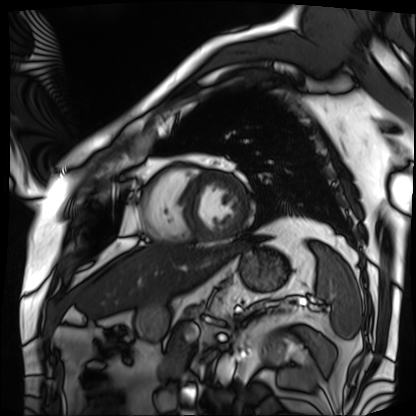
Case summary:
Cardiac MRI. Subject group: patient.